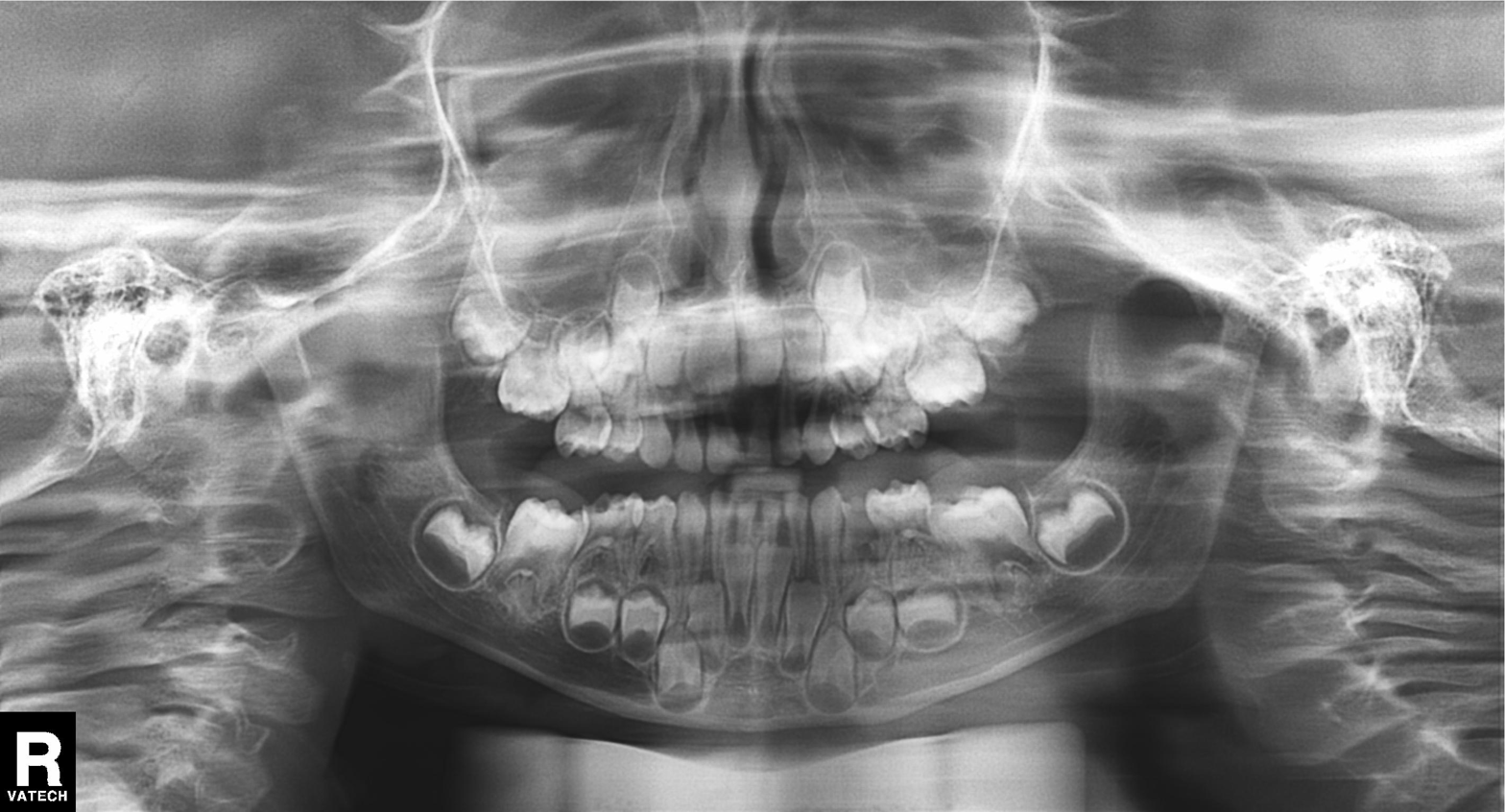
Panoramic dental radiograph (orthopantomogram).
Finding: alveolar bone loss.